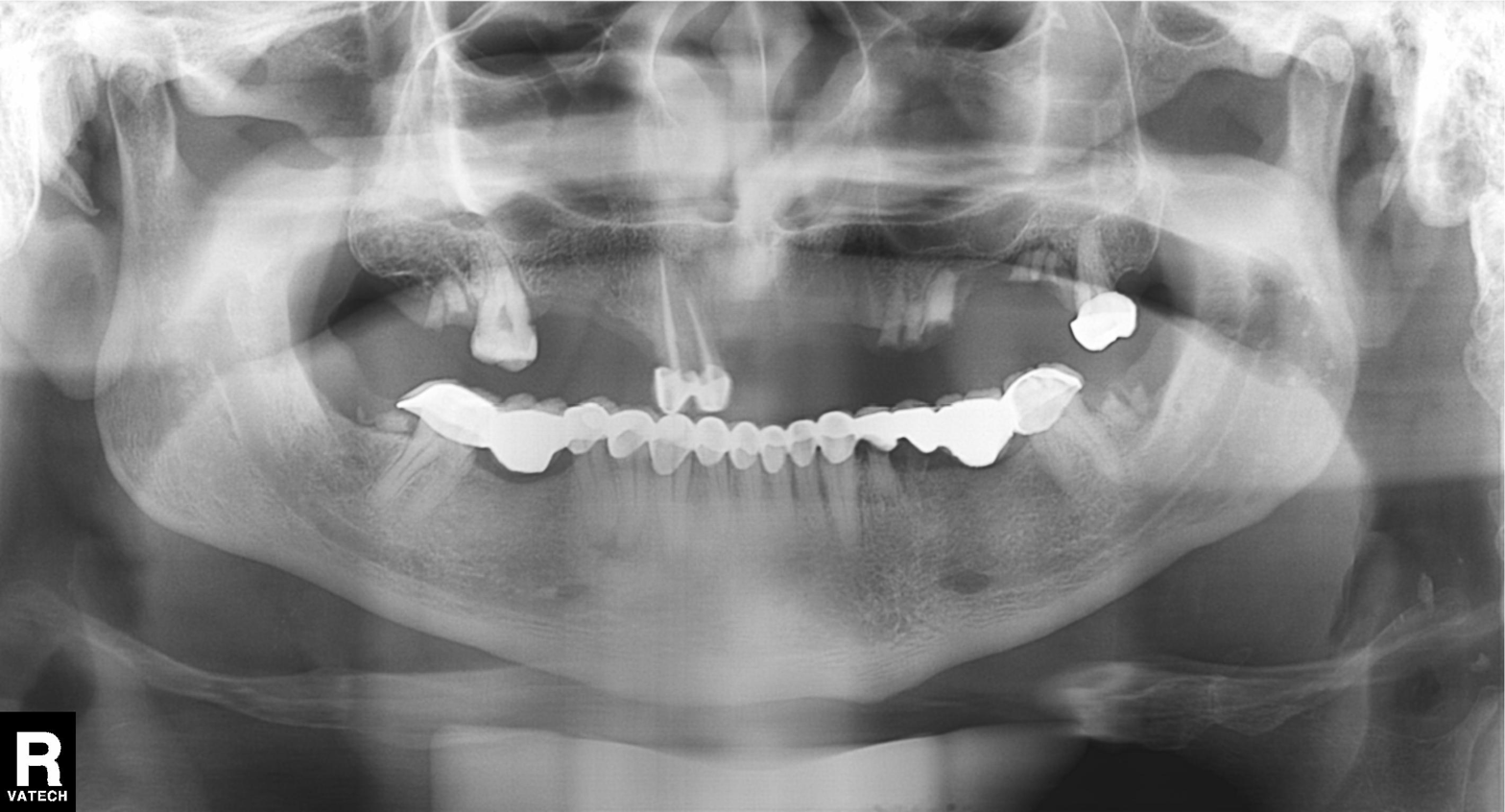
Clinical context: Panoramic dental radiograph (orthopantomogram).
Impression: Dental caries (cavities).